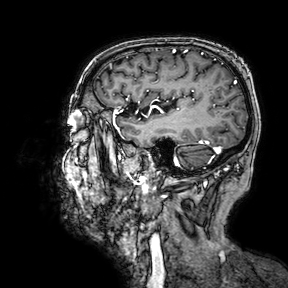
- modality: 3 Tesla brain MRI
- series: 3D T1-weighted turbo field echo with SENSE
- study: ring-enhancing brain masses